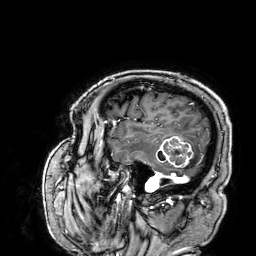
3 Tesla brain MRI.
Series: 3D T1-weighted.
Study: ring-enhancing brain masses.